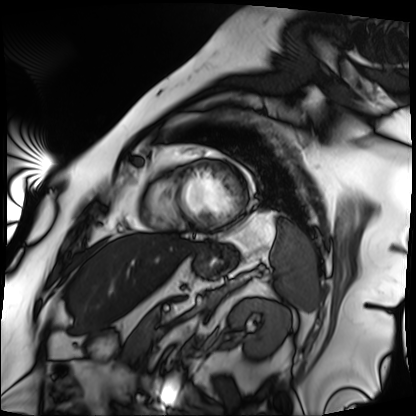
Q: What kind of scan is this?
A: Cardiac MRI.
Subject group: patient.